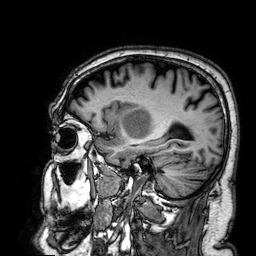
Q: What kind of scan is this?
A: 3 Tesla brain MRI.
Q: Series?
A: 3D T1-weighted.
Study: ring-enhancing brain masses.